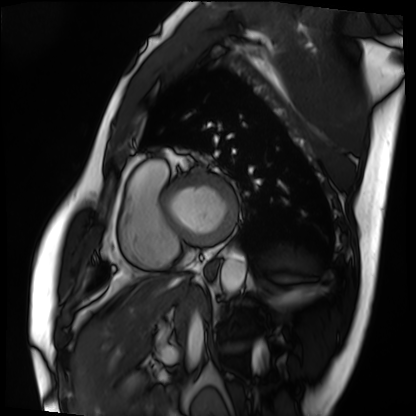
modality=cardiac MRI
subject group=patient